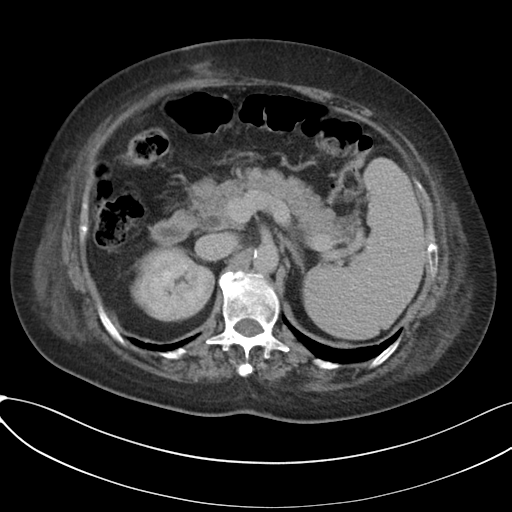
Multiphase abdominal CT, liver, delayed phase. Patient: female, age 65. History: cirrhosis, viral hepatitis.